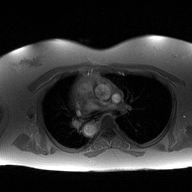
<record>
<modality>
  <type>2D phase-contrast cine MRI</type>
  <region>ascending aorta</region>
  <reconstruction>high-resolution GRAPPA acquisition</reconstruction>
</modality>
</record>